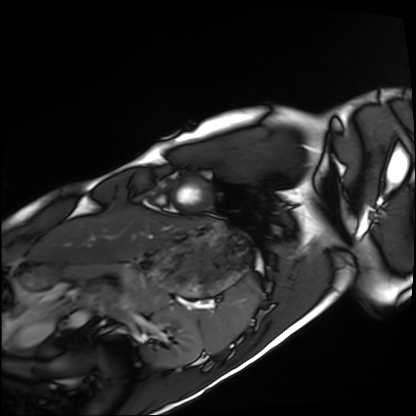
Cardiac MRI. Subject group: healthy volunteer.